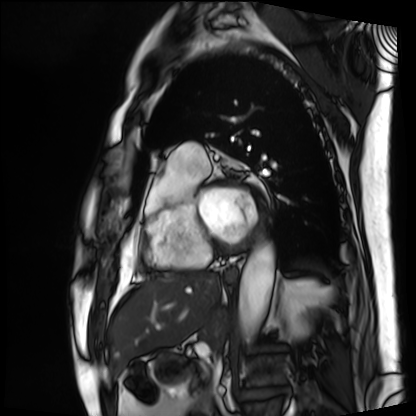
<study>
  <modality>cardiac MRI</modality>
  <cohort>patient</cohort>
</study>